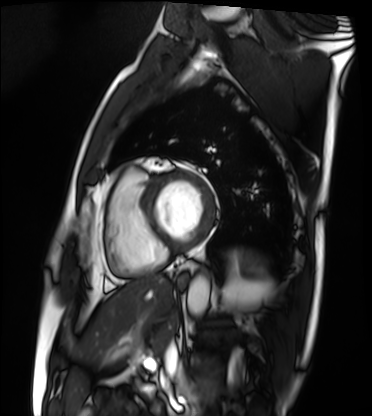
Clinical context:
Cardiac MRI. Subject group: patient.